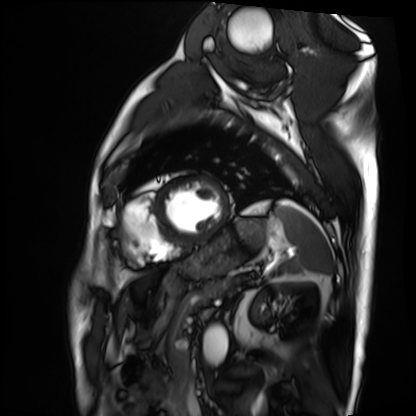
– modality: cardiac MRI
– subject group: patient